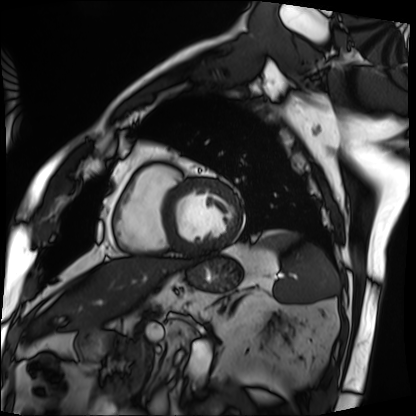
modality: cardiac MRI | subject group: patient.